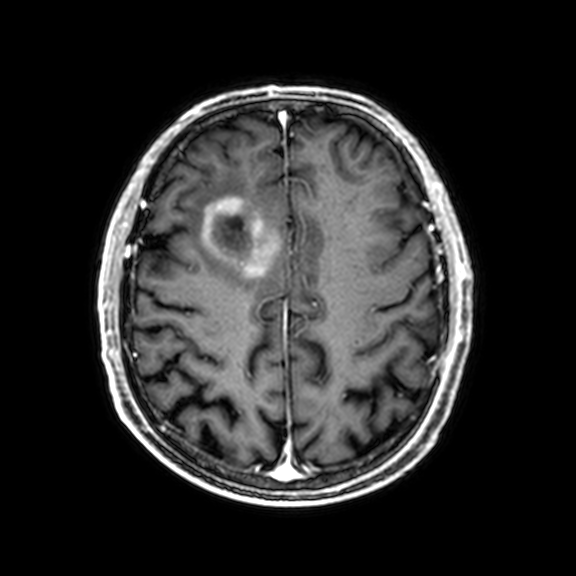
3 Tesla brain MRI. Series: 3D T1-weighted with CLEAR. Study: ring-enhancing brain masses.